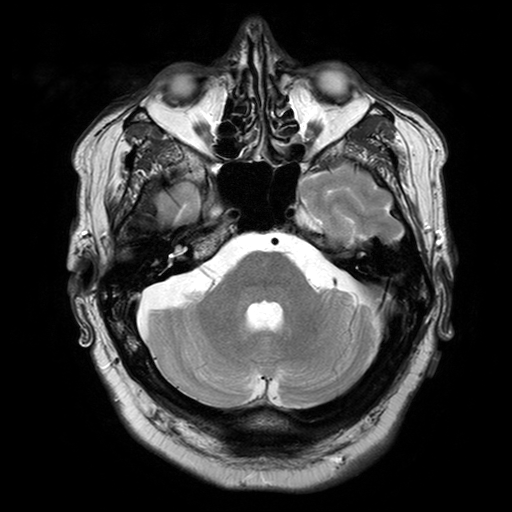
3 Tesla brain MRI. Series: T2-weighted turbo spin echo with SENSE. Study: ring-enhancing brain masses.